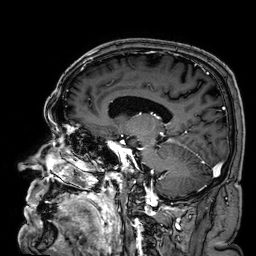
Clinical context: 3 Tesla brain MRI. Series: 3D T1-weighted. Study: ring-enhancing brain masses.